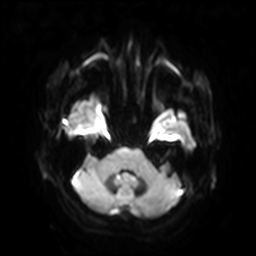
modality: 3 Tesla brain MRI; series: diffusion-weighted imaging with SENSE (WIP); study: ring-enhancing brain masses.